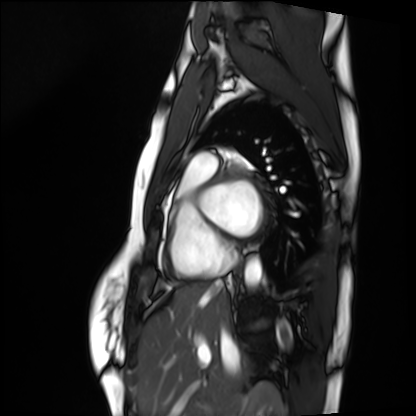
modality = cardiac MRI; subject group = healthy volunteer.